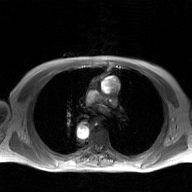
{
  "modality": {
    "type": "2D phase-contrast cine MRI",
    "region": "ascending aorta",
    "reconstruction": "GAN super-resolution reconstruction"
  }
}